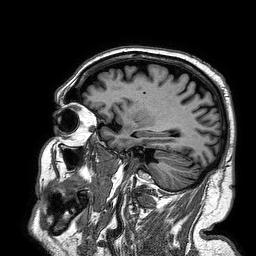
Case:
• modality: 3 Tesla brain MRI
• series: 3D T1-weighted turbo field echo
• study: ring-enhancing brain masses